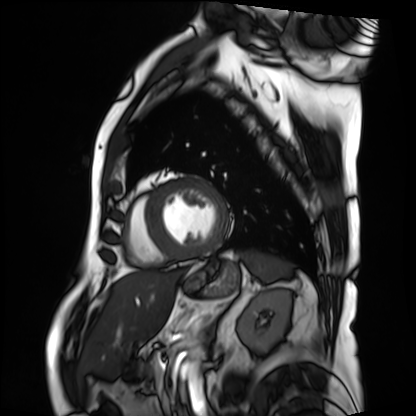
Cardiac MRI. Subject group: patient.